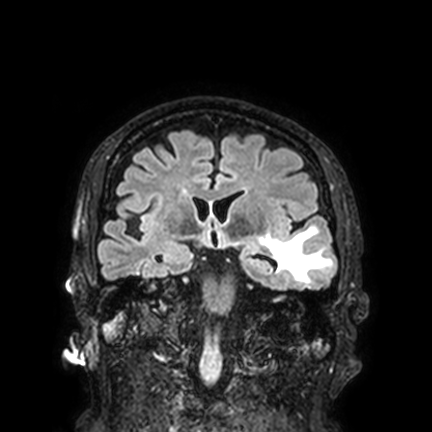
Q: What kind of scan is this?
A: 3 Tesla brain MRI.
Q: Series?
A: FLAIR VISTA with SENSE.
Study: ring-enhancing brain masses.